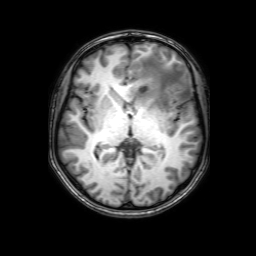
Q: What kind of scan is this?
A: 3 Tesla brain MRI.
Q: Series?
A: 3D T1-weighted with SENSE.
Study: ring-enhancing brain masses.